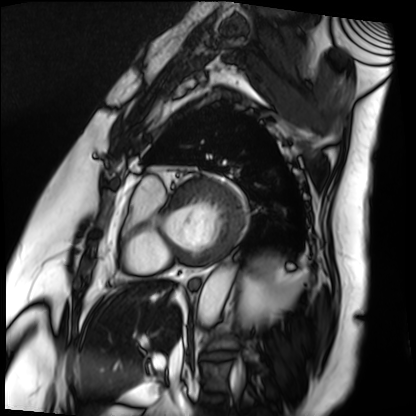
Cardiac MRI. Subject group: patient.